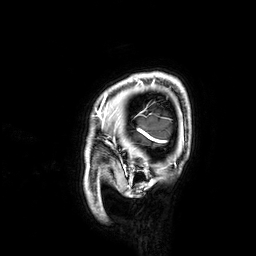
Summary:
3 Tesla brain MRI. Series: 3D T1-weighted. Study: ring-enhancing brain masses.